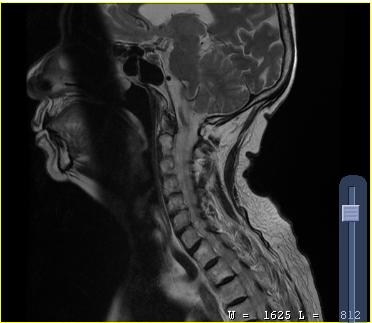
Summary:
MRI of the cervical spine. Study: cervical spondylosis.